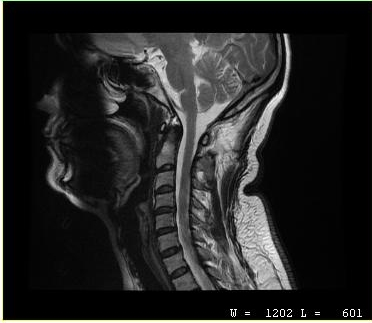
MRI of the cervical spine. Study: cervical spondylosis.